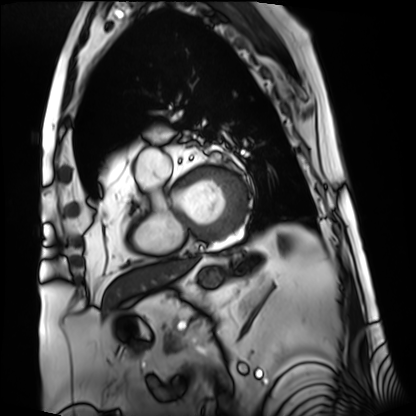
Summary:
Cardiac MRI. Subject group: patient.